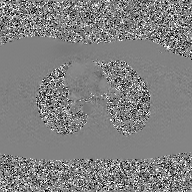
2D phase-contrast cine MRI of the ascending aorta, GAN super-resolution reconstruction.